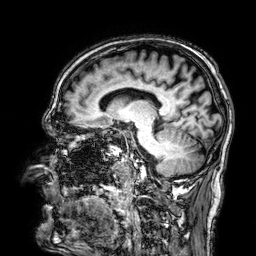
3 Tesla brain MRI. Series: 3D T1-weighted. Study: ring-enhancing brain masses.